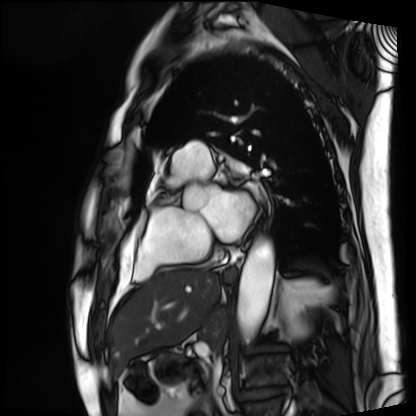
Q: What kind of scan is this?
A: Cardiac MRI.
Subject group: patient.